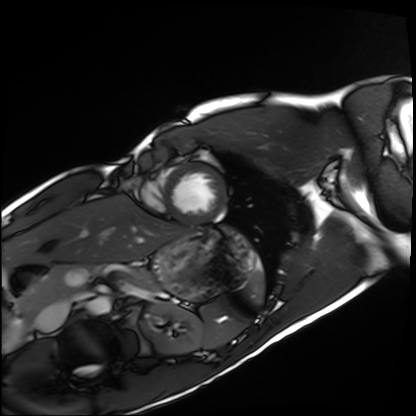
- modality: cardiac MRI
- subject group: healthy volunteer